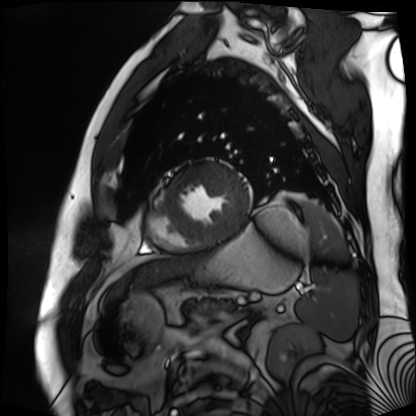
<study>
<modality>cardiac MR image of the myocardium</modality>
<cohort>cardiac patient</cohort>
</study>